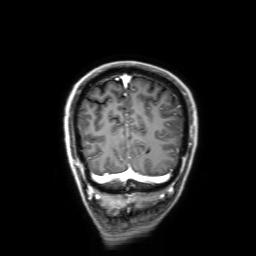
• modality · 3 Tesla brain MRI
• series · 3D T1-weighted with SENSE
• study · ring-enhancing brain masses